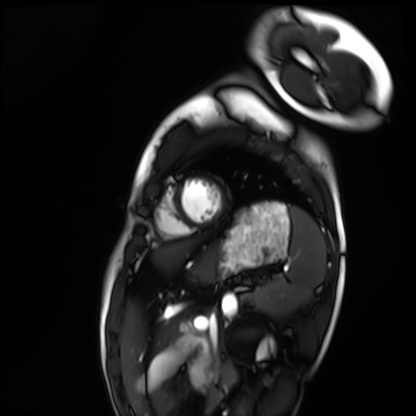
{
  "modality": "cardiac MRI",
  "cohort": "healthy volunteer"
}